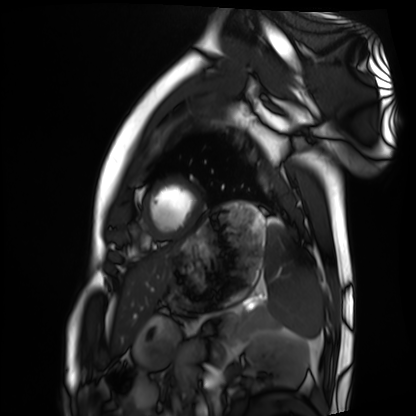
Summary:
Cardiac MRI. Subject group: healthy volunteer.